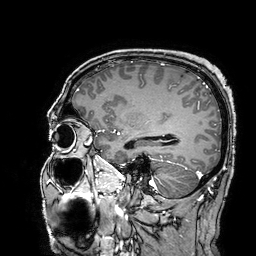
- modality — 3 Tesla brain MRI
- series — 3D T1-weighted turbo field echo with SENSE
- study — ring-enhancing brain masses